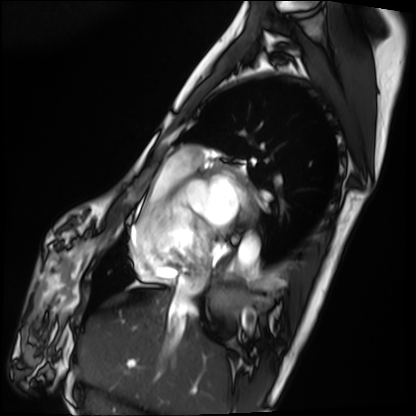
<record>
  <modality>cardiac MRI</modality>
  <cohort>patient</cohort>
</record>